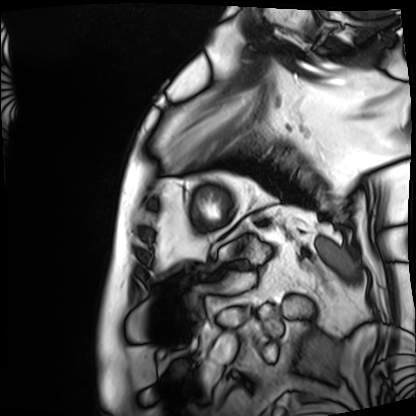
Cardiac MRI. Subject group: patient.